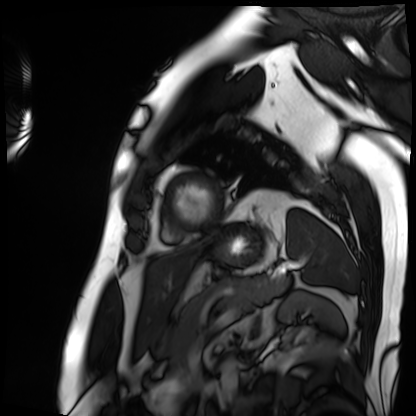
modality: cardiac MRI, subject group: patient.